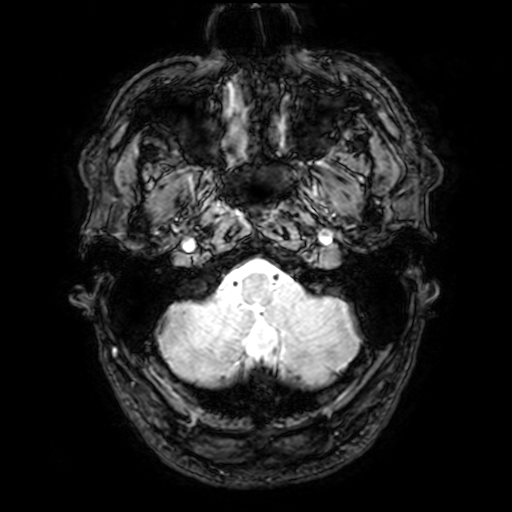
modality: 3 Tesla brain MRI
series: T2-weighted fast field echo with SENSE
study: ring-enhancing brain masses